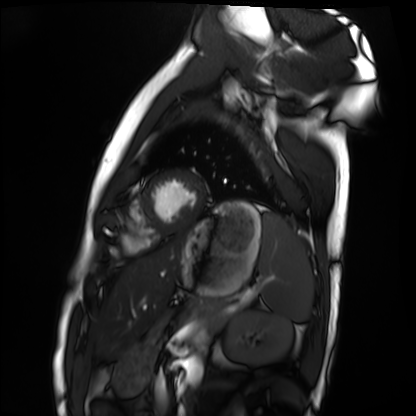
Case:
• modality: cardiac MRI
• subject group: healthy volunteer